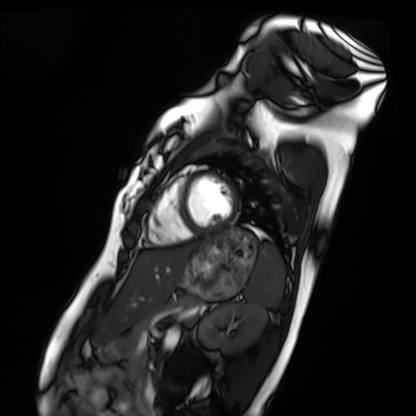
Cardiac MRI.
Subject group: healthy volunteer.